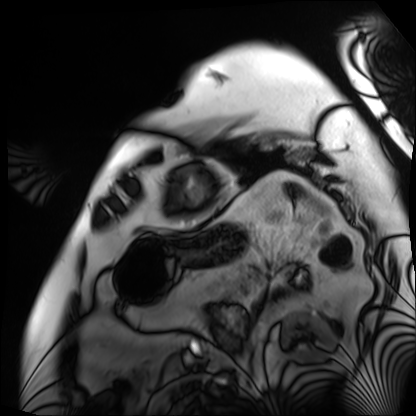
Cardiac MRI. Subject group: patient.